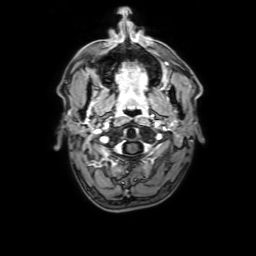
Q: What kind of scan is this?
A: 3 Tesla brain MRI.
Q: Series?
A: 3D T1-weighted with SENSE.
Study: ring-enhancing brain masses.